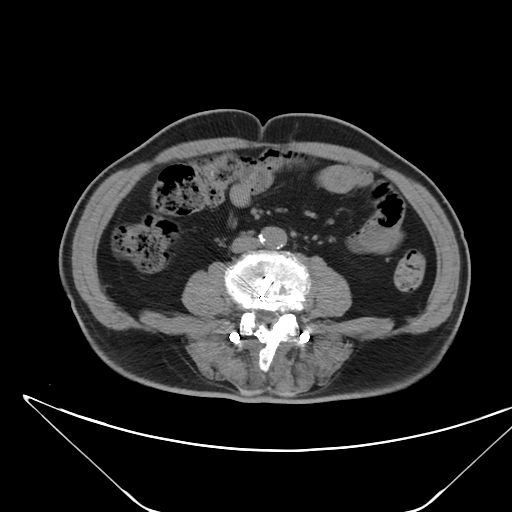
modality — multiphase abdominal CT, liver, non-contrast phase
patient — male, age 68
history — viral hepatitis